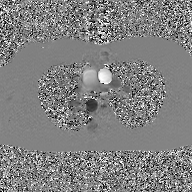
Q: What kind of scan is this?
A: 2D phase-contrast cine MRI of the ascending aorta, GAN super-resolution reconstruction.